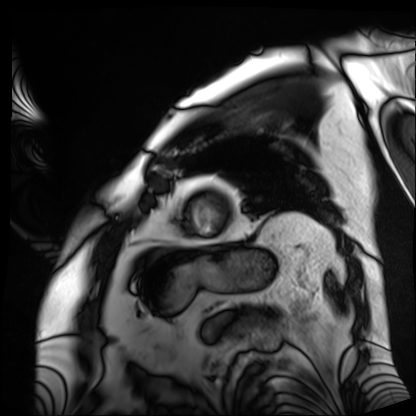
Q: What kind of scan is this?
A: Cardiac MRI.
Subject group: patient.